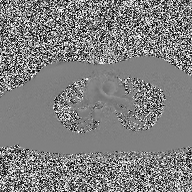
  modality:
    type: 2D phase-contrast cine MRI
    region: ascending aorta
    reconstruction: high-resolution GRAPPA acquisition